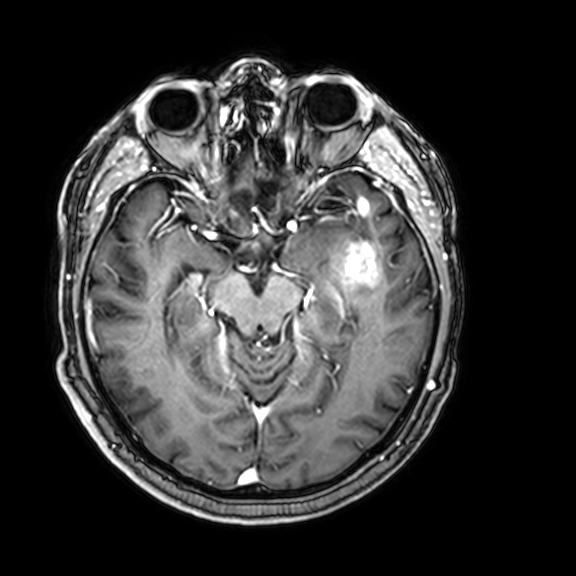
Case summary: 3 Tesla brain MRI. Series: 3D T1-weighted with CLEAR. Study: ring-enhancing brain masses.